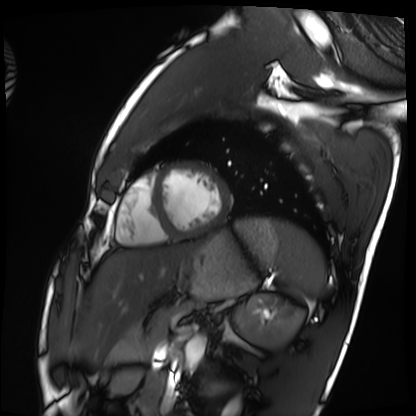
<case>
<modality>cardiac MRI</modality>
<cohort>healthy volunteer</cohort>
</case>